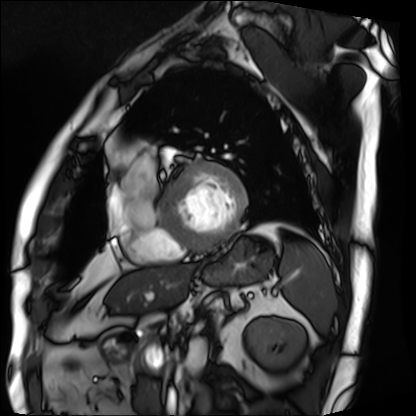
modality: cardiac MRI, subject group: patient.